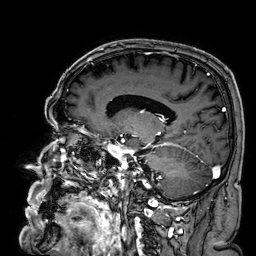
Clinical context:
3 Tesla brain MRI. Series: 3D T1-weighted. Study: ring-enhancing brain masses.